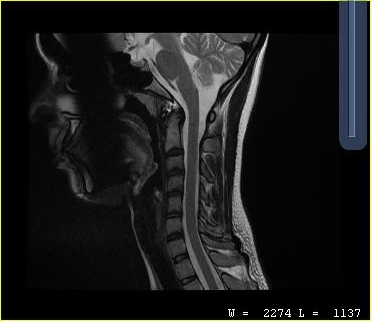
MRI of the cervical spine. Study: cervical spondylosis.